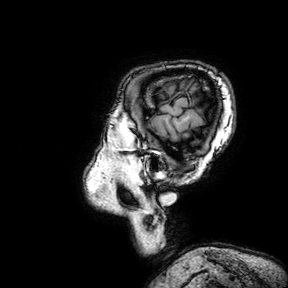
  modality:
    type: brain MRI
    field_strength: 3T
  series: 3D T1-weighted turbo field echo with SENSE
  study_topic: ring-enhancing brain masses